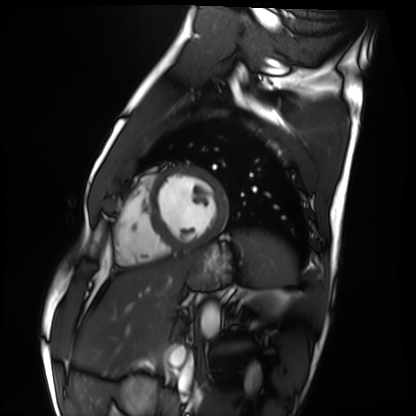
Summary: Cardiac MRI. Subject group: healthy volunteer.